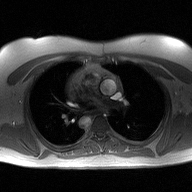
- modality · 2D phase-contrast cine MRI of the ascending aorta